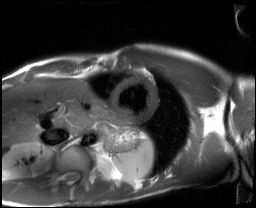
Summary:
Cardiac MRI. Subject group: healthy volunteer.